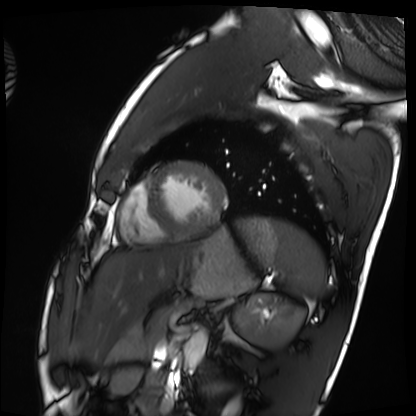
{
  "modality": "cardiac MRI",
  "cohort": "healthy volunteer"
}